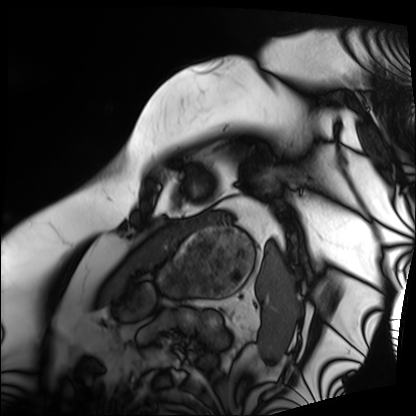
Cardiac MRI. Subject group: patient.